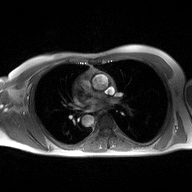
2D phase-contrast cine MRI of the ascending aorta, high-resolution GRAPPA acquisition.